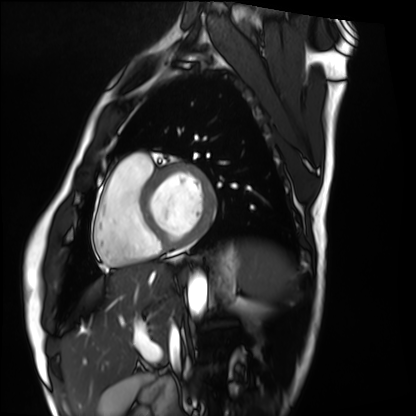
Cardiac MRI. Subject group: healthy volunteer.